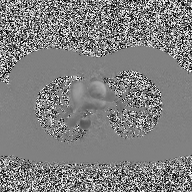
Q: What kind of scan is this?
A: 2D phase-contrast cine MRI of the ascending aorta.